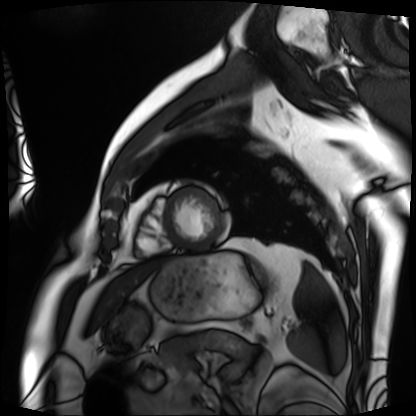
Cardiac MRI. Subject group: patient.